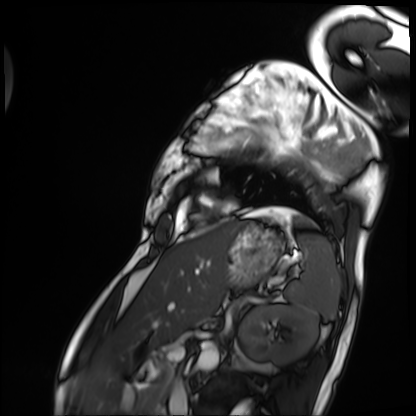
modality=cardiac MRI | subject group=patient.